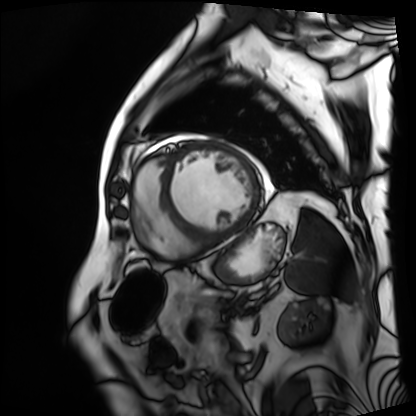
Cardiac MRI. Subject group: patient.